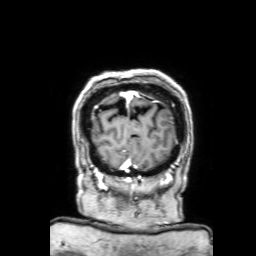
modality: 3 Tesla brain MRI | series: 3D T1-weighted with SENSE | study: ring-enhancing brain masses.